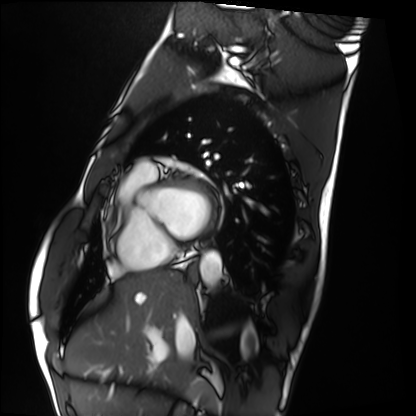
– modality — cardiac MRI
– subject group — healthy volunteer